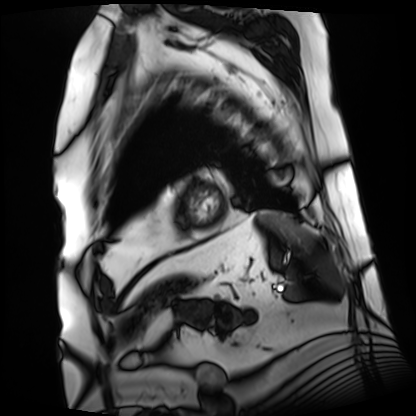
{
  "modality": "cardiac MRI",
  "cohort": "patient"
}